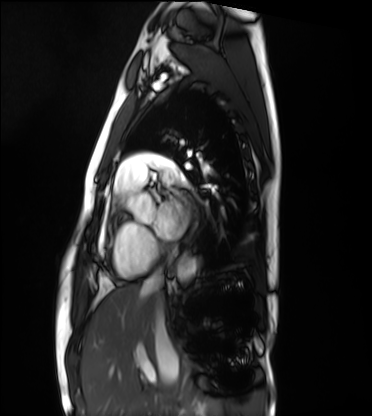
Case summary:
Cardiac MRI. Subject group: healthy volunteer.